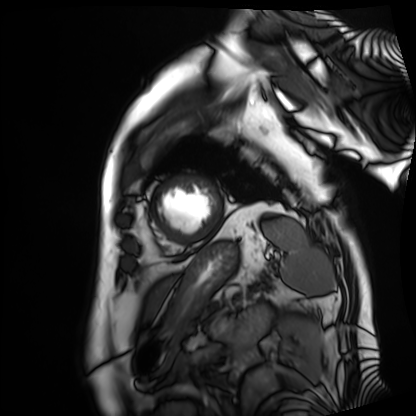
modality: cardiac MRI | subject group: patient.